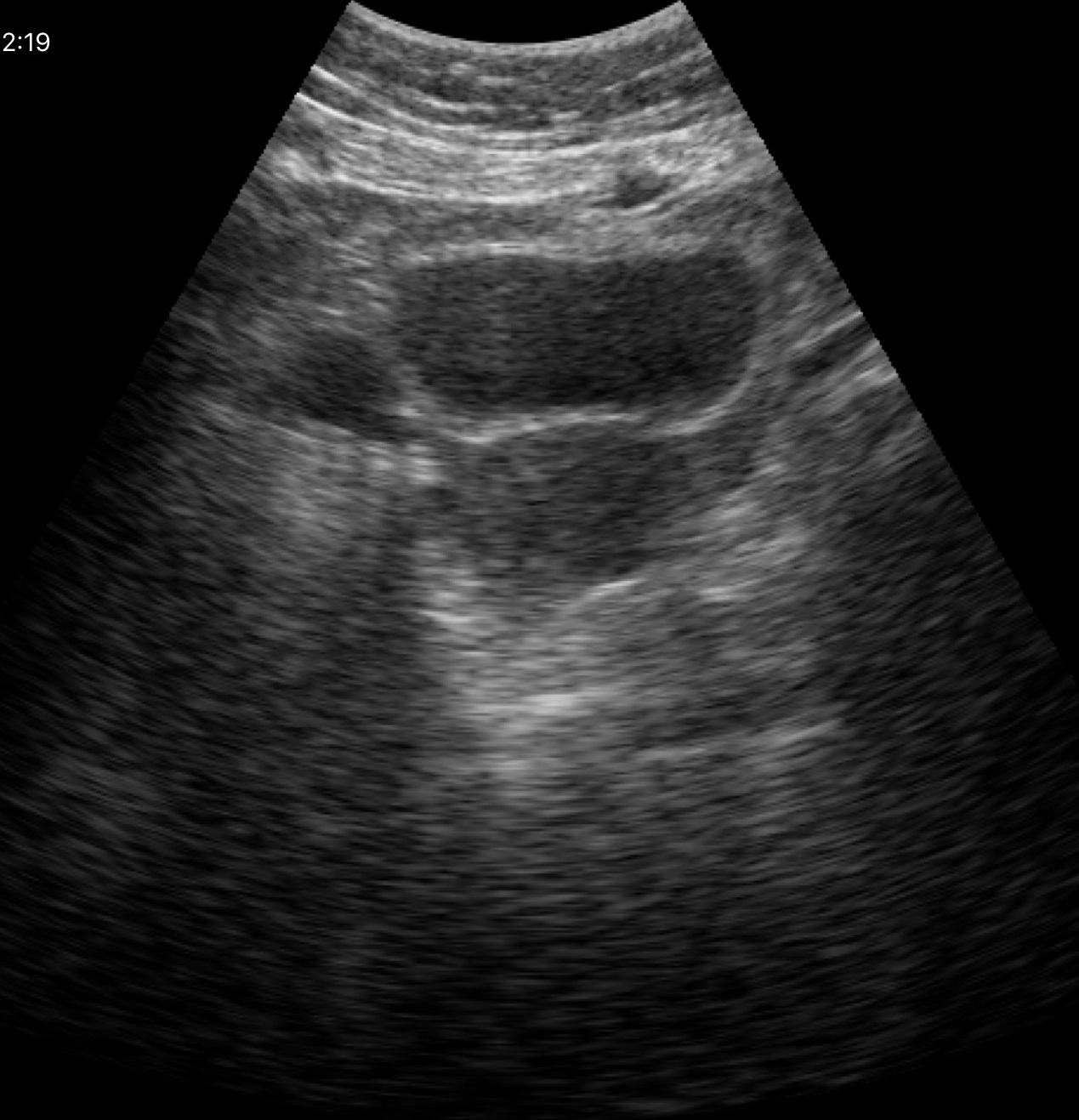
Summary:
Genitourinary ultrasound.